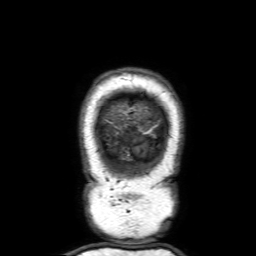
{"modality": {"type": "brain MRI", "field_strength": "3T"}, "series": "3D T1-weighted with SENSE", "study_topic": "ring-enhancing brain masses"}